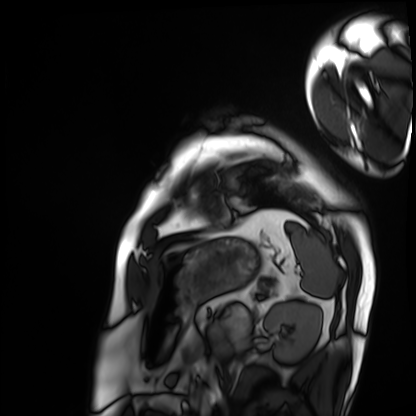
Q: What kind of scan is this?
A: Cardiac MRI.
Subject group: patient.